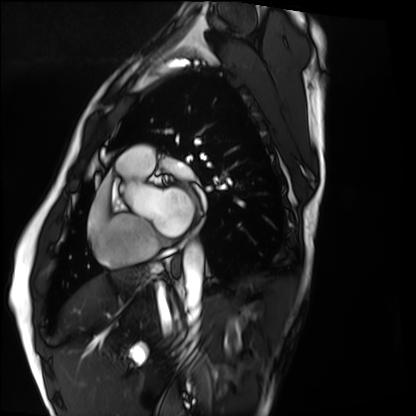
modality: cardiac MRI; subject group: healthy volunteer.